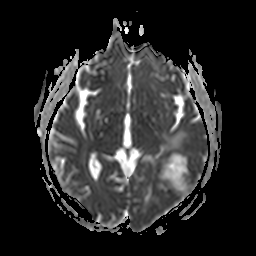
Summary: 3 Tesla brain MRI. Series: apparent diffusion coefficient (ADC) map. Study: ring-enhancing brain masses.